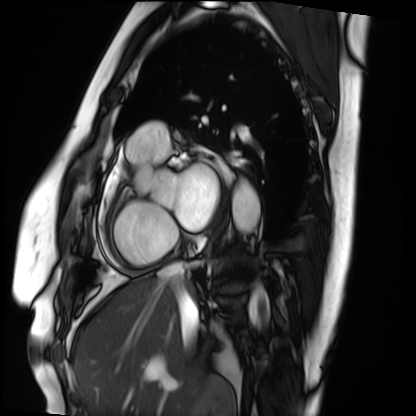
Cardiac MRI. Subject group: patient.